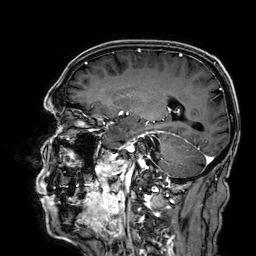
modality = 3 Tesla brain MRI
series = 3D T1-weighted
study = ring-enhancing brain masses